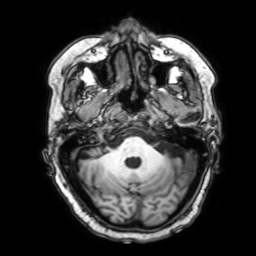
modality = 3 Tesla brain MRI
series = 3D T1-weighted with SENSE
study = ring-enhancing brain masses